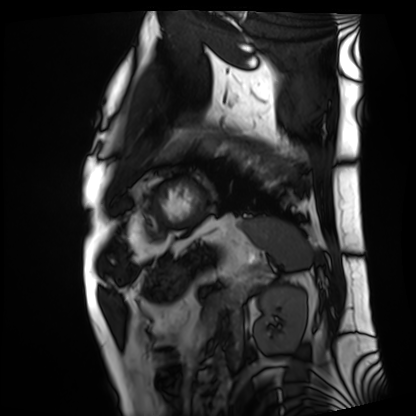
<case>
  <modality>cardiac MRI</modality>
  <cohort>patient</cohort>
</case>